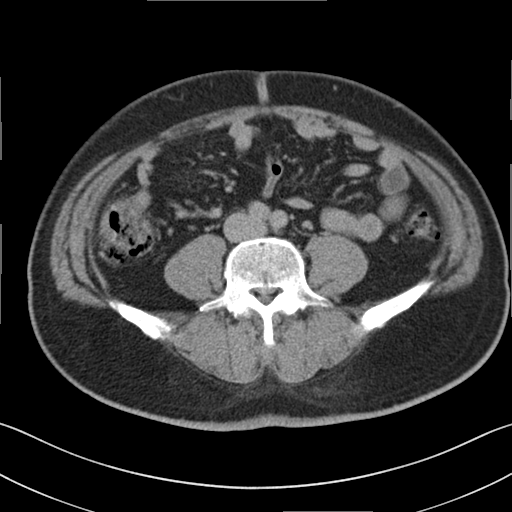
Multiphase abdominal CT, liver, delayed phase. Patient: male, age 48. History: viral hepatitis.